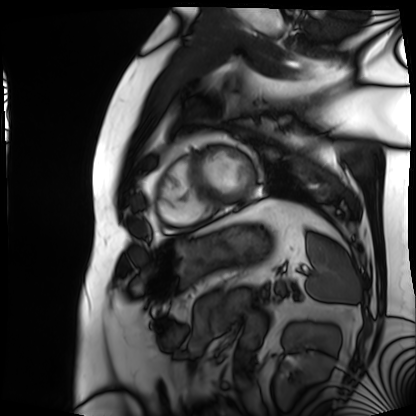
Cardiac MRI. Subject group: patient.